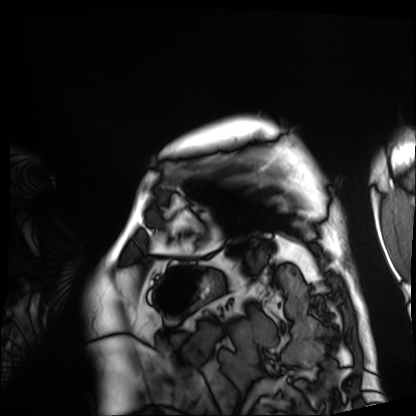
modality: cardiac MRI
subject group: patient